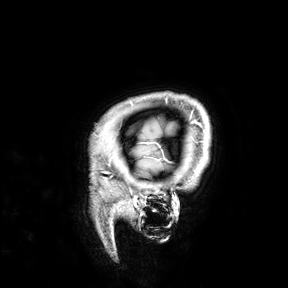
* modality · 3 Tesla brain MRI
* study · ring-enhancing brain masses